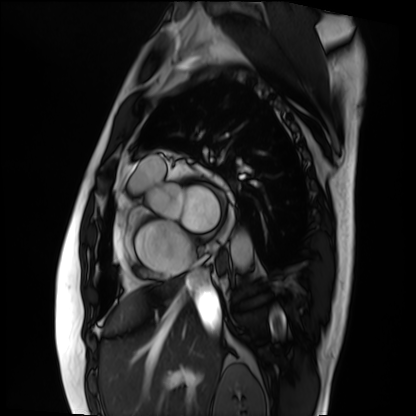
| field | value |
|---|---|
| modality | cardiac MRI |
| subject group | patient |